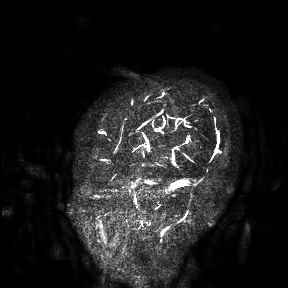
Case summary: 3 Tesla brain MRI. Study: ring-enhancing brain masses.